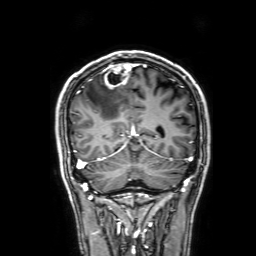
Case:
– modality — 3 Tesla brain MRI
– series — 3D T1-weighted with SENSE
– study — ring-enhancing brain masses